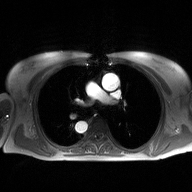
– modality: 2D phase-contrast cine MRI of the ascending aorta